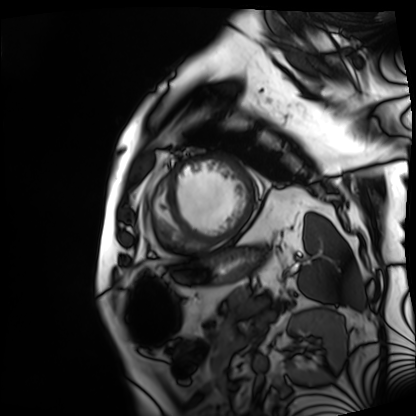
| field | value |
|---|---|
| modality | cardiac MRI |
| subject group | patient |